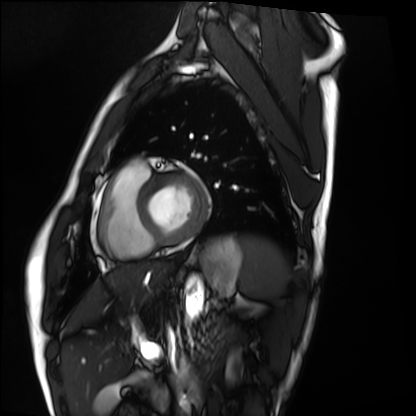
Case summary:
Cardiac MRI. Subject group: healthy volunteer.